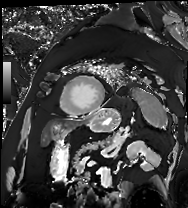
{"modality": "cardiac MRI", "cohort": "patient"}